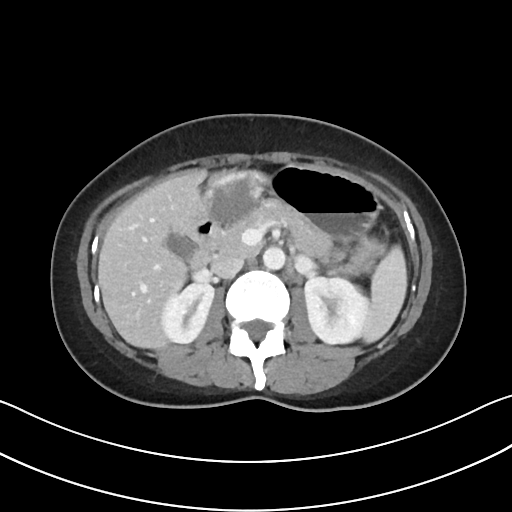
– modality: multiphase abdominal CT, liver, portal venous phase
– patient: female, age 37